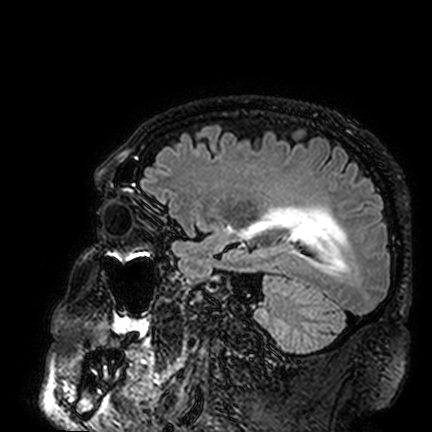
{"modality": {"type": "brain MRI", "field_strength": "3T"}, "series": "FLAIR VISTA", "study_topic": "ring-enhancing brain masses"}